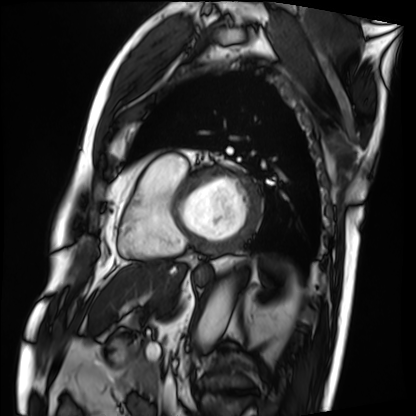
| field | value |
|---|---|
| modality | cardiac MRI |
| subject group | patient |